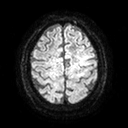
3 Tesla brain MRI. Series: diffusion tensor imaging (medium iso). Study: ring-enhancing brain masses.